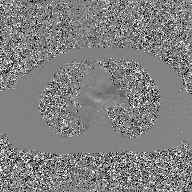
Q: What kind of scan is this?
A: 2D phase-contrast cine MRI of the ascending aorta, GAN super-resolution reconstruction.